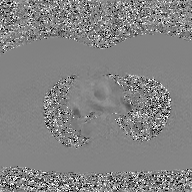
  modality:
    type: 2D phase-contrast cine MRI
    region: ascending aorta
    reconstruction: GAN super-resolution reconstruction